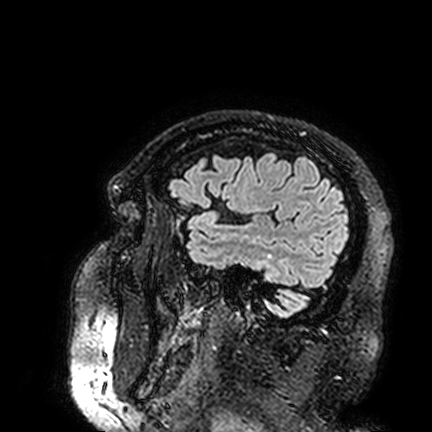
Case summary:
3 Tesla brain MRI. Series: FLAIR VISTA. Study: ring-enhancing brain masses.